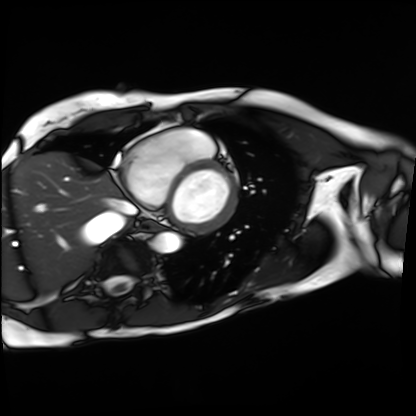
modality: cardiac MRI
cohort: patient